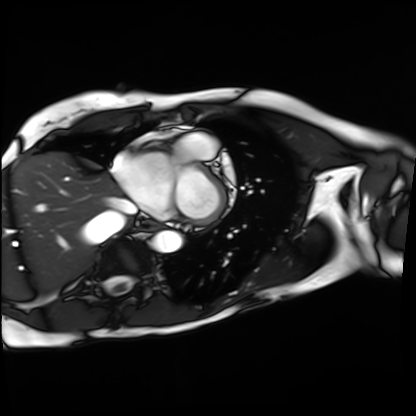
Q: What kind of scan is this?
A: Cardiac MRI.
Subject group: patient.